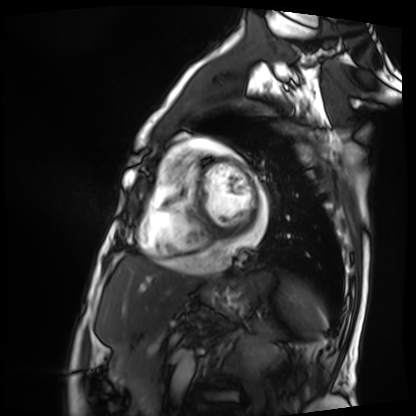
Summary: Cardiac MRI. Subject group: patient.